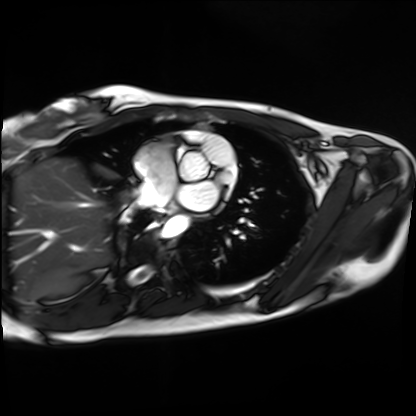
* modality: cardiac MRI
* subject group: healthy volunteer